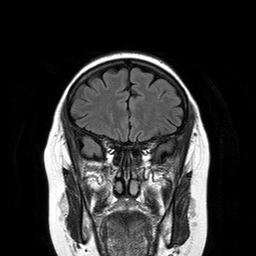
| field | value |
|---|---|
| modality | 3 Tesla brain MRI |
| series | T2-weighted FLAIR |
| study | ring-enhancing brain masses |